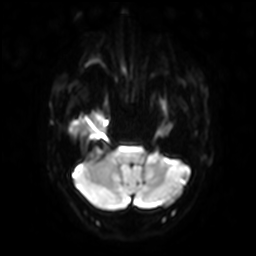
modality: 3 Tesla brain MRI
series: diffusion-weighted imaging with SENSE (WIP)
study: ring-enhancing brain masses